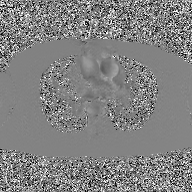
Summary:
2D phase-contrast cine MRI of the ascending aorta, GAN super-resolution reconstruction.